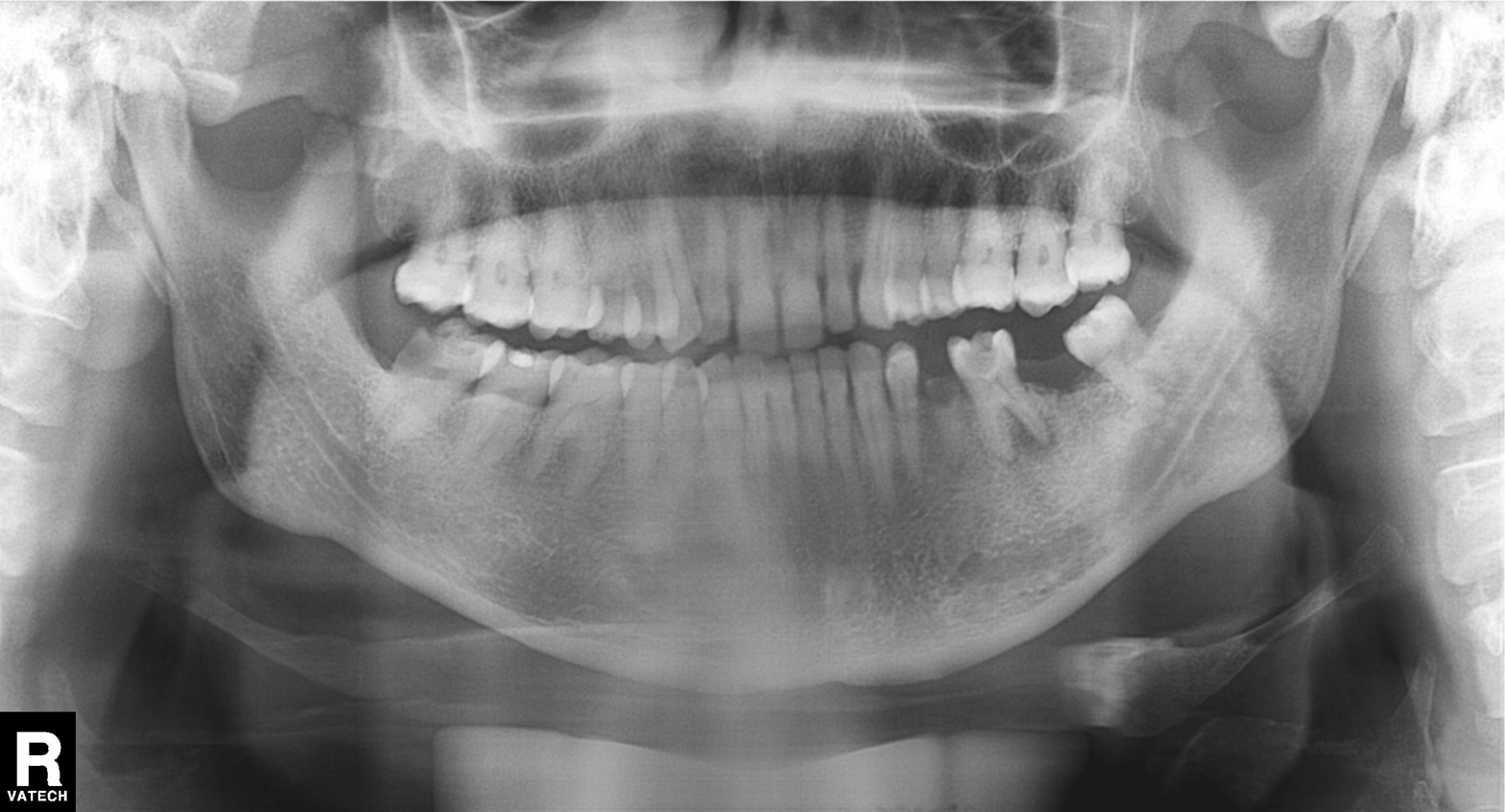
  modality: panoramic dental radiograph (orthopantomogram)
  finding: alveolar bone loss